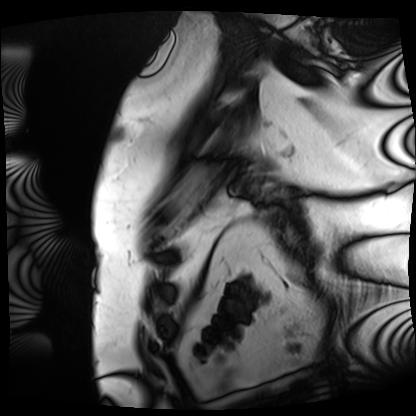
Cardiac MRI. Subject group: patient.